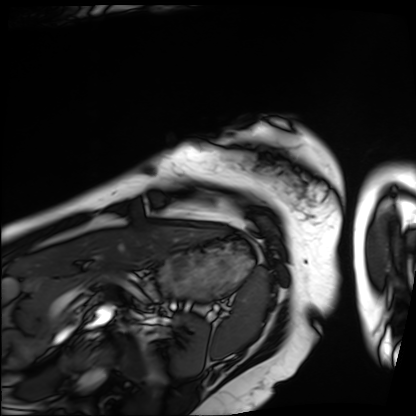
Cardiac MRI. Subject group: patient.